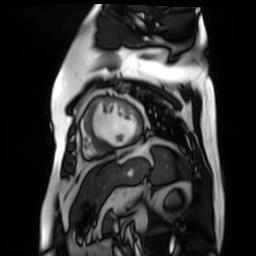
* modality · cardiac MR image of the myocardium
* subject cohort · cardiac patient